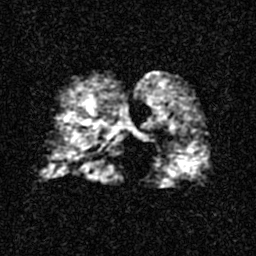
Case summary: Hyperpolarized 129Xe ventilation MRI of the lungs. SNR level 3 of 8 (the deposit holds this scan as its native image and as seven SNR-degraded versions).